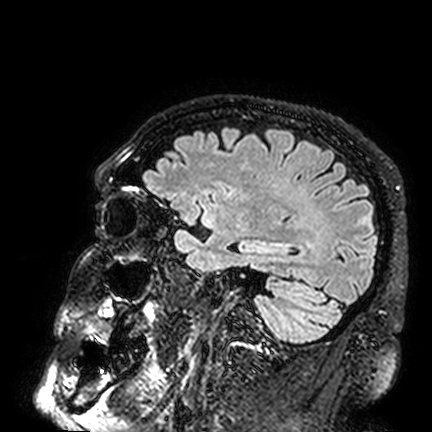
3 Tesla brain MRI. Study: ring-enhancing brain masses.